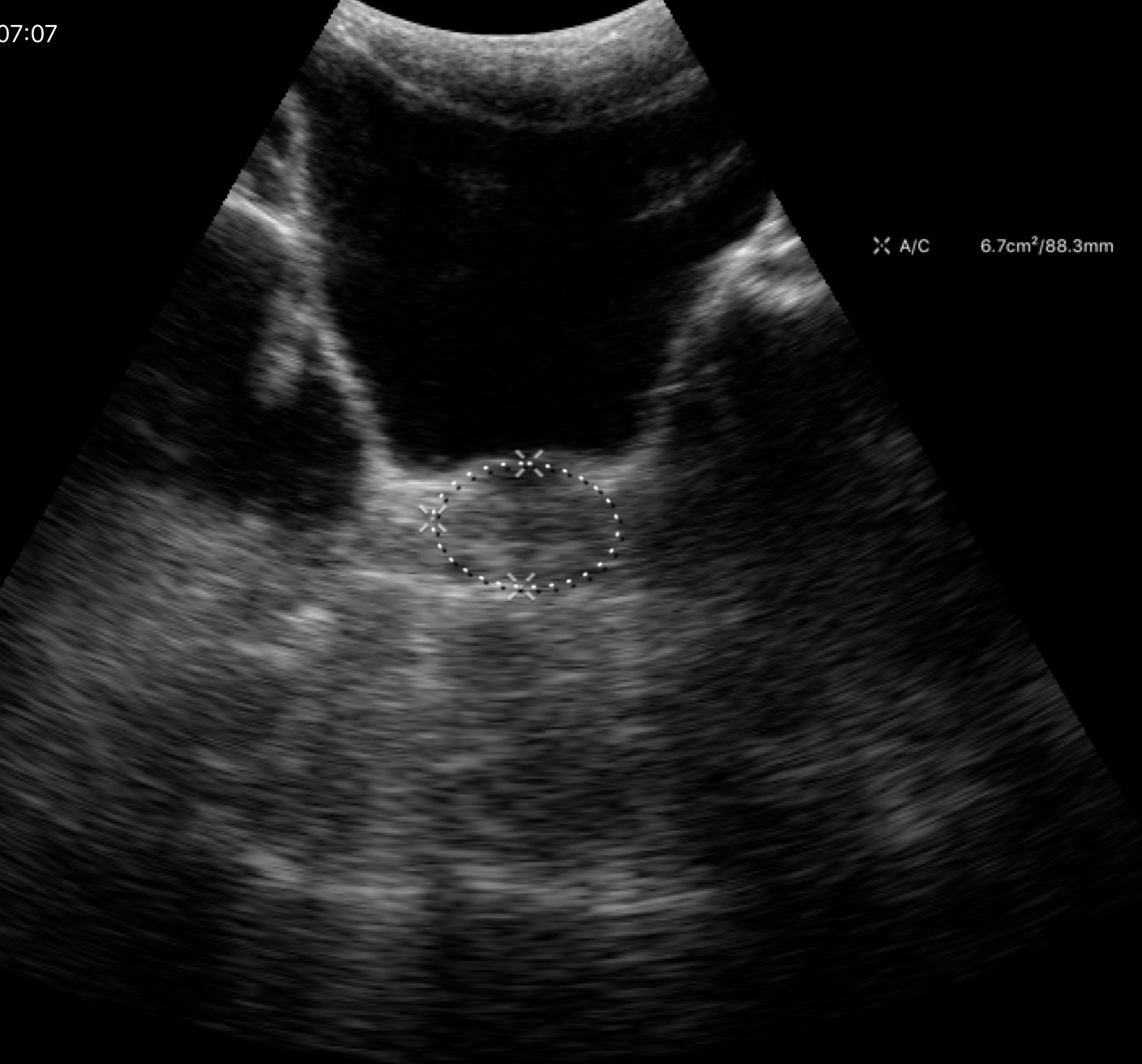
Case summary:
Genitourinary ultrasound.